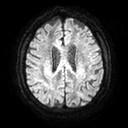
<case>
<modality>
  <type>brain MRI</type>
  <field_strength>3T</field_strength>
</modality>
<study_topic>ring-enhancing brain masses</study_topic>
</case>